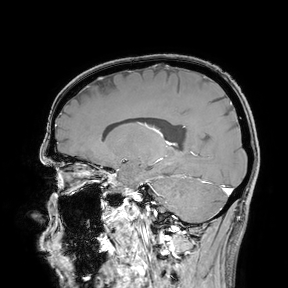
3 Tesla brain MRI. Study: ring-enhancing brain masses.